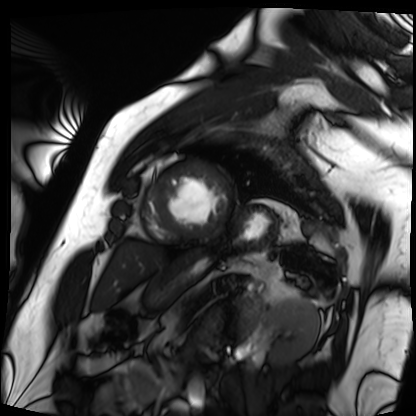
Cardiac MRI. Subject group: patient.